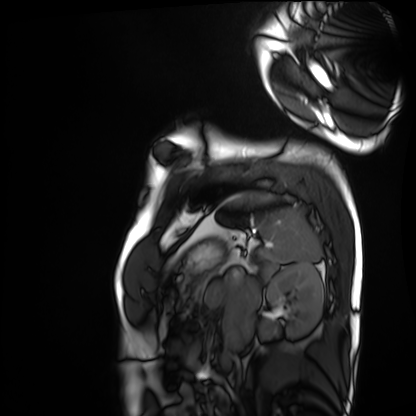
Cardiac MRI. Subject group: healthy volunteer.